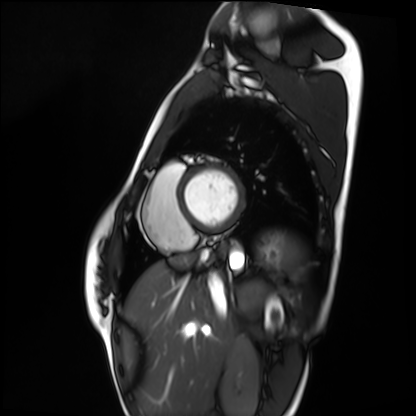
<record>
  <modality>cardiac MRI</modality>
  <cohort>healthy volunteer</cohort>
</record>